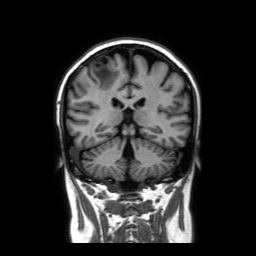
Case:
- modality: 3 Tesla brain MRI
- series: coronal without contrast
- study: ring-enhancing brain masses